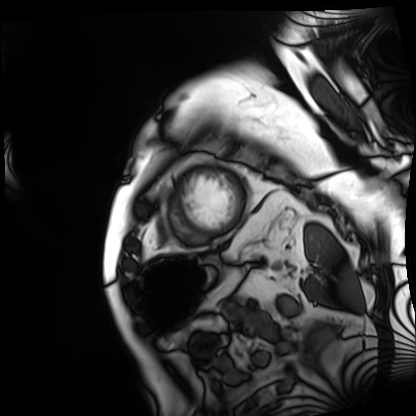
<scan>
  <modality>cardiac MRI</modality>
  <cohort>patient</cohort>
</scan>